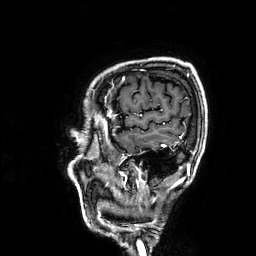
modality=3 Tesla brain MRI
series=3D T1-weighted
study=ring-enhancing brain masses